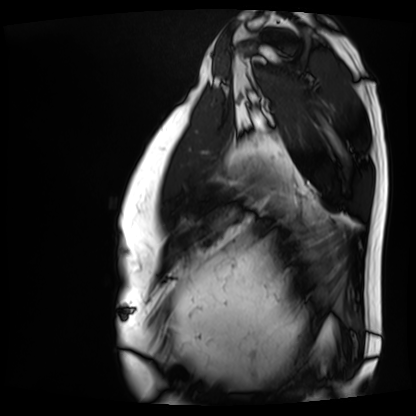
Cardiac MRI. Subject group: patient.